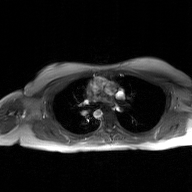
2D phase-contrast cine MRI of the ascending aorta, GAN super-resolution reconstruction.